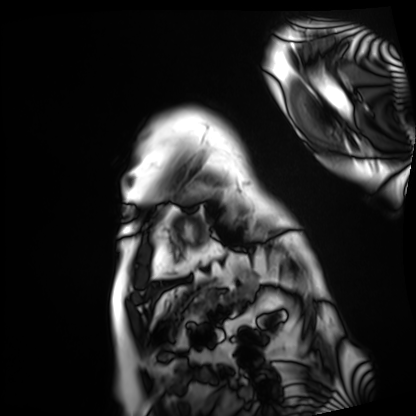
Q: What kind of scan is this?
A: Cardiac MRI.
Subject group: patient.